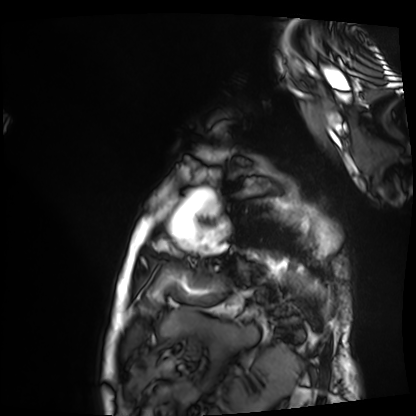
Q: What kind of scan is this?
A: Cardiac MRI.
Subject group: patient.